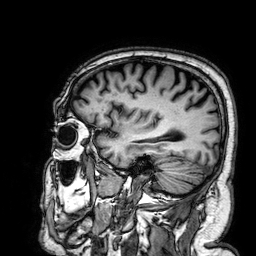
3 Tesla brain MRI. Series: 3D T1-weighted. Study: ring-enhancing brain masses.